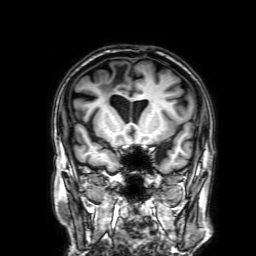
Summary:
3 Tesla brain MRI. Series: 3D T1-weighted with SENSE. Study: ring-enhancing brain masses.